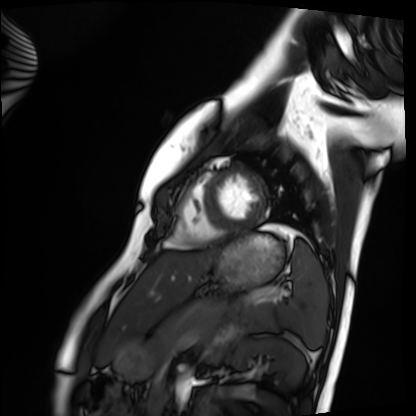
Case summary: Cardiac MRI. Subject group: healthy volunteer.